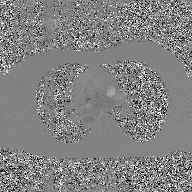
Q: What kind of scan is this?
A: 2D phase-contrast cine MRI of the ascending aorta, GAN super-resolution reconstruction.